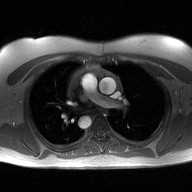
Summary: 2D phase-contrast cine MRI of the ascending aorta, high-resolution GRAPPA acquisition.